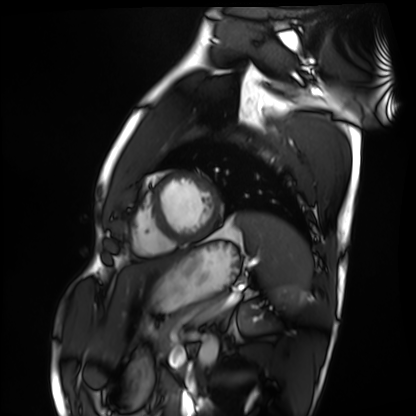
modality: cardiac MRI | subject group: healthy volunteer.